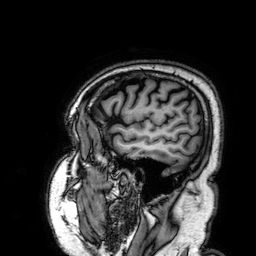
3 Tesla brain MRI. Series: 3D T1-weighted. Study: ring-enhancing brain masses.